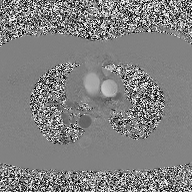
modality: 2D phase-contrast cine MRI of the ascending aorta.